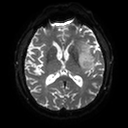
3 Tesla brain MRI.
Series: diffusion tensor imaging (medium iso).
Study: ring-enhancing brain masses.